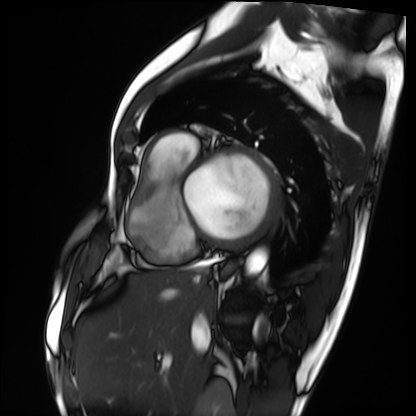
Cardiac MRI. Subject group: patient.